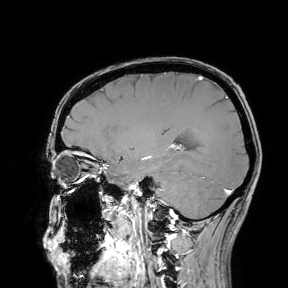
{
  "modality": {
    "type": "brain MRI",
    "field_strength": "3T"
  },
  "study_topic": "ring-enhancing brain masses"
}